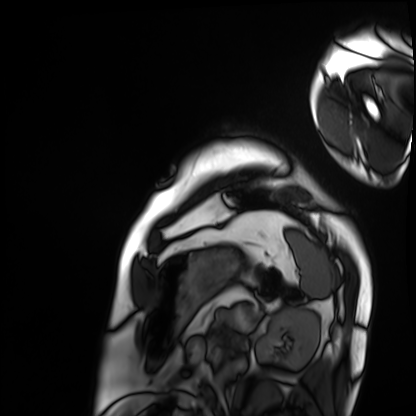
Q: What kind of scan is this?
A: Cardiac MRI.
Subject group: patient.